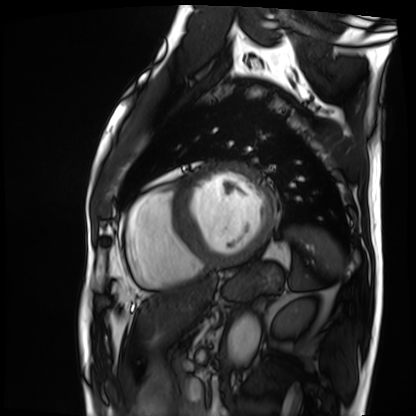
Cardiac MRI.
Subject group: patient.